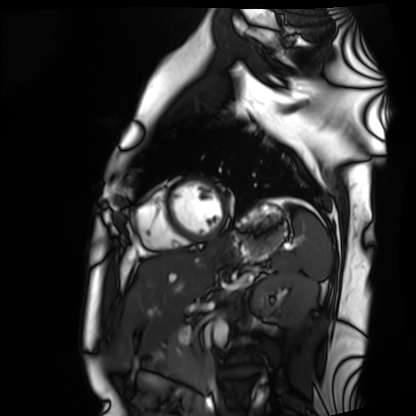
Cardiac MRI. Subject group: healthy volunteer.